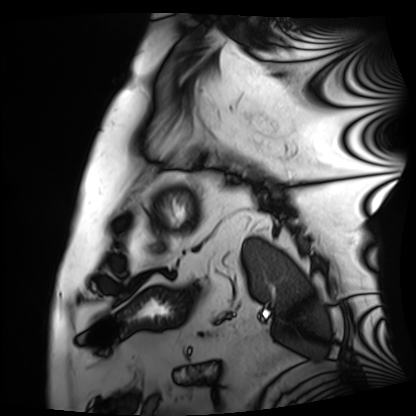
Cardiac MRI. Subject group: patient.